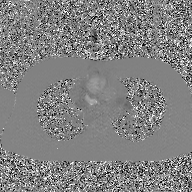
  modality:
    type: 2D phase-contrast cine MRI
    region: ascending aorta
    reconstruction: GAN super-resolution reconstruction